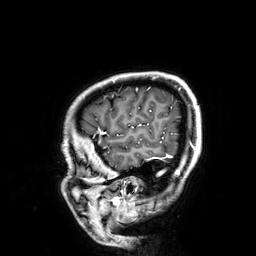
Case:
• modality — 3 Tesla brain MRI
• series — 3D T1-weighted
• study — ring-enhancing brain masses